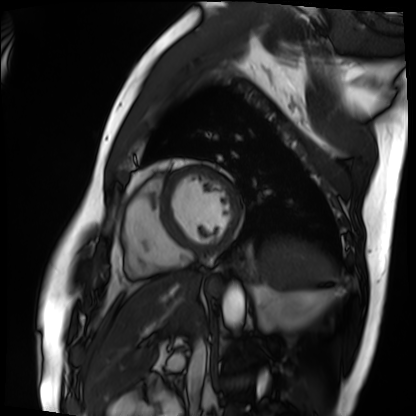
{
  "modality": "cardiac MRI",
  "cohort": "patient"
}